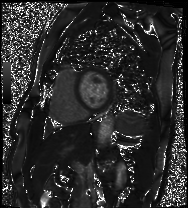
| field | value |
|---|---|
| modality | cardiac MRI |
| subject group | patient |